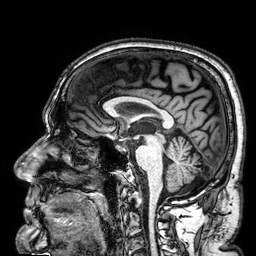
{"modality": {"type": "brain MRI", "field_strength": "3T"}, "series": "3D T1-weighted", "study_topic": "ring-enhancing brain masses"}